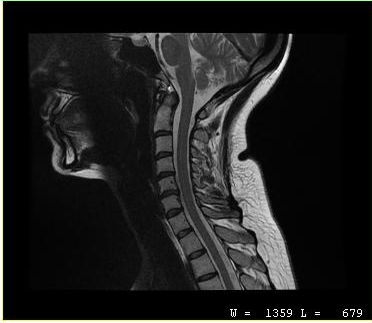
Summary: MRI of the cervical spine. Study: cervical spondylosis.